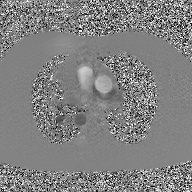
Q: What kind of scan is this?
A: 2D phase-contrast cine MRI of the ascending aorta, GAN super-resolution reconstruction.